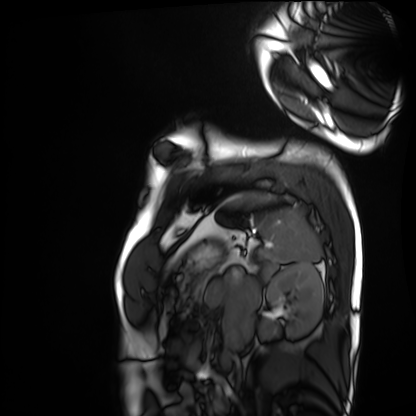
Summary: Cardiac MRI. Subject group: healthy volunteer.